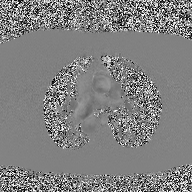
2D phase-contrast cine MRI of the ascending aorta, high-resolution GRAPPA acquisition.